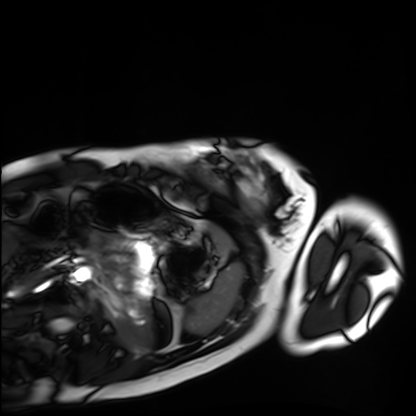
Cardiac MRI. Subject group: healthy volunteer.